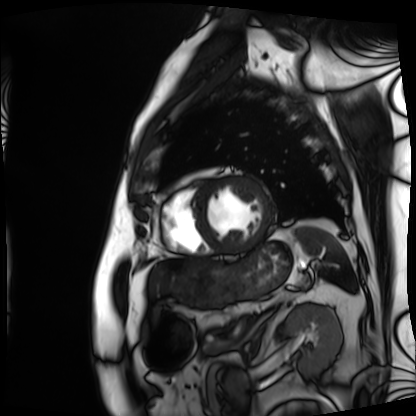
* modality · cardiac MRI
* subject group · patient